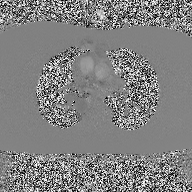
2D phase-contrast cine MRI of the ascending aorta, high-resolution GRAPPA acquisition.